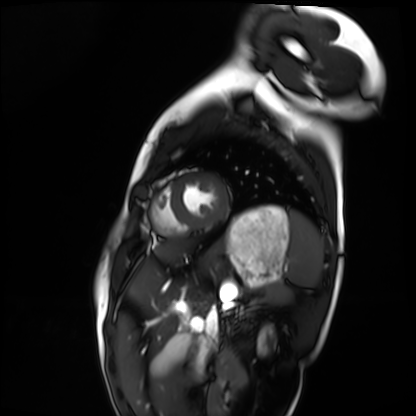
Summary: Cardiac MRI. Subject group: healthy volunteer.